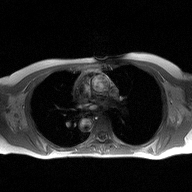
modality — 2D phase-contrast cine MRI of the ascending aorta.